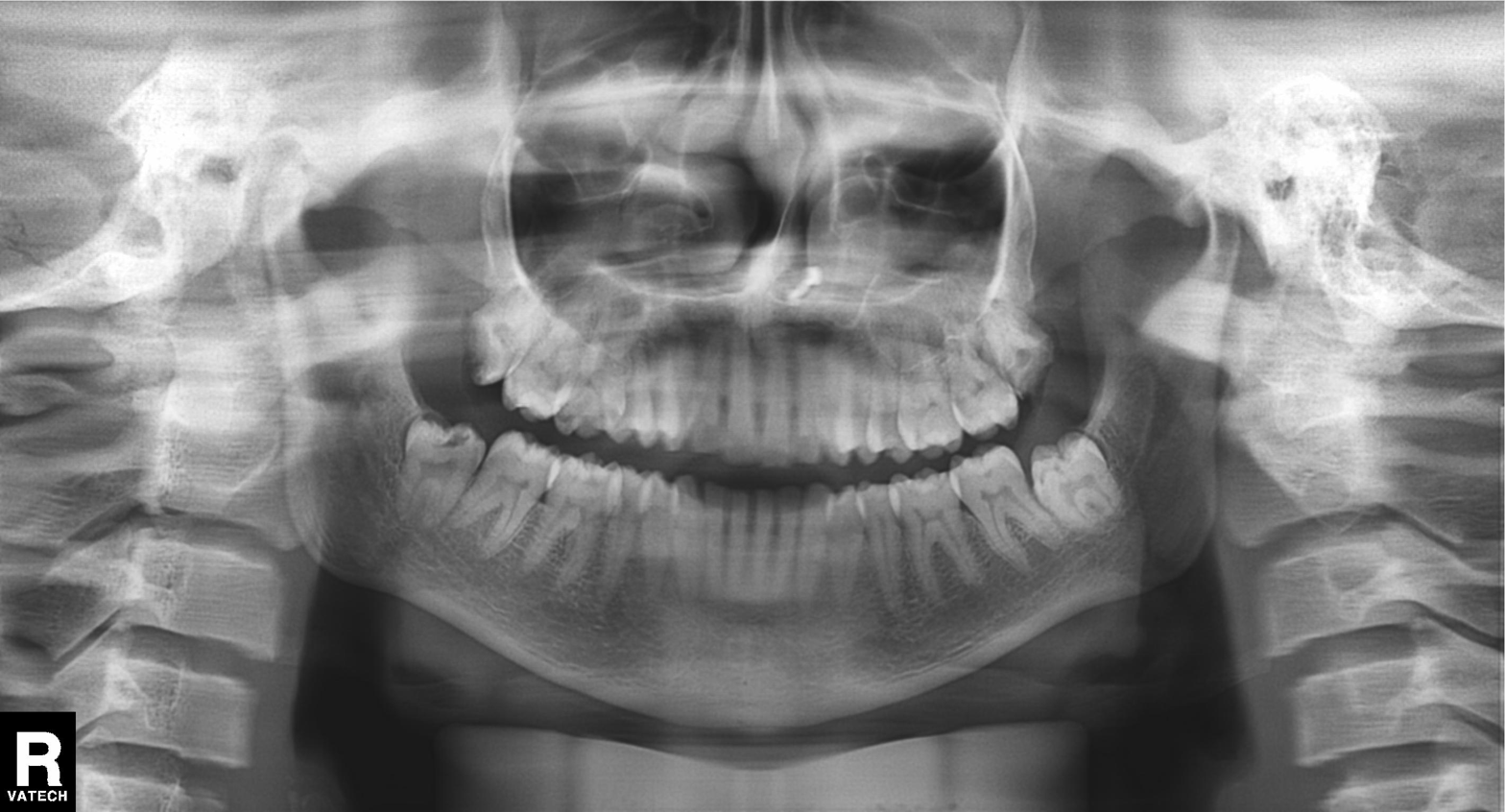
Panoramic dental radiograph (orthopantomogram). Finding: tooth impaction.